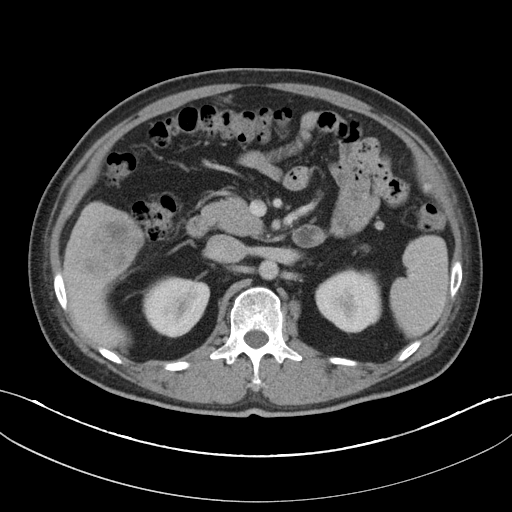
Q: What kind of scan is this?
A: Multiphase abdominal CT, liver, portal venous phase.
Q: Patient?
A: Male, age 46.
Q: History?
A: Cirrhosis, viral hepatitis.